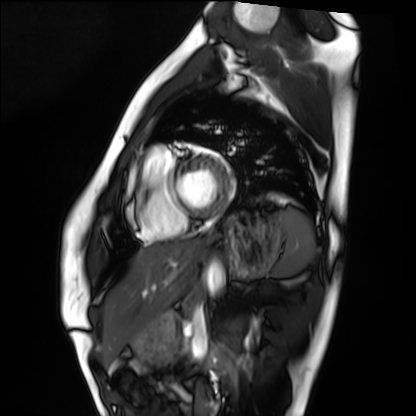
Cardiac MRI.
Subject group: healthy volunteer.